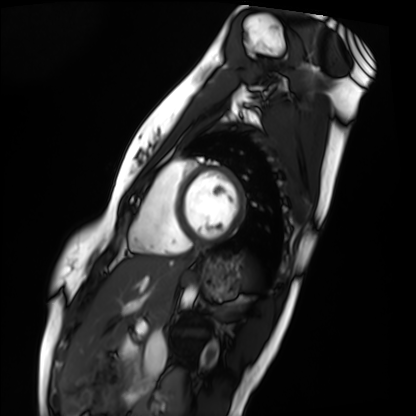
Cardiac MRI. Subject group: healthy volunteer.